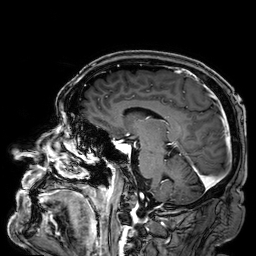
3 Tesla brain MRI. Series: 3D T1-weighted. Study: ring-enhancing brain masses.